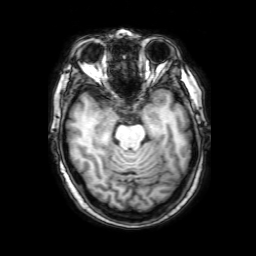
Q: What kind of scan is this?
A: 3 Tesla brain MRI.
Q: Series?
A: 3D T1-weighted with SENSE.
Study: ring-enhancing brain masses.